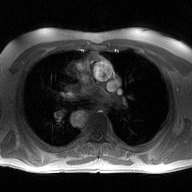
modality: 2D phase-contrast cine MRI of the ascending aorta.